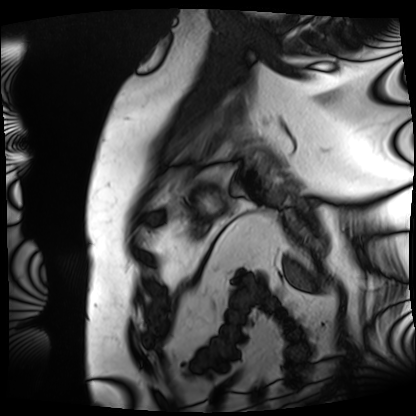
Case:
* modality — cardiac MRI
* subject group — patient